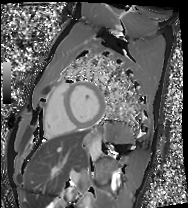
| field | value |
|---|---|
| modality | cardiac MRI |
| subject group | healthy volunteer |